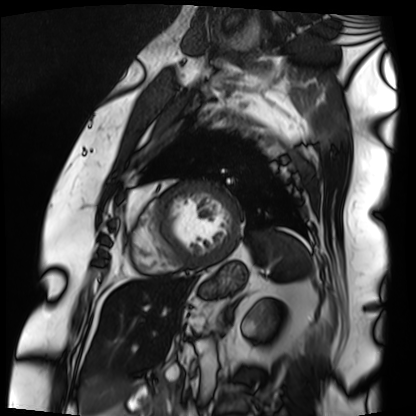
| field | value |
|---|---|
| modality | cardiac MRI |
| subject group | patient |